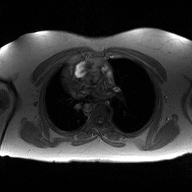
2D phase-contrast cine MRI of the ascending aorta, high-resolution GRAPPA acquisition.